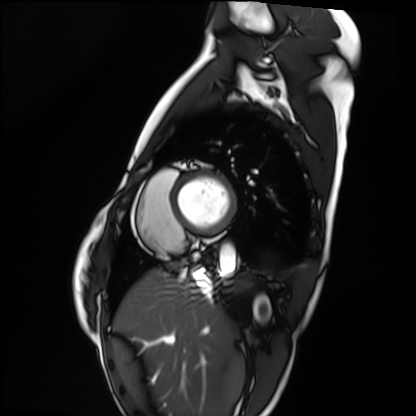
| field | value |
|---|---|
| modality | cardiac MRI |
| subject group | healthy volunteer |